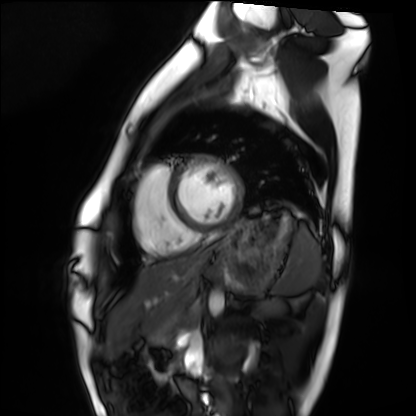
| field | value |
|---|---|
| modality | cardiac MRI |
| subject group | healthy volunteer |